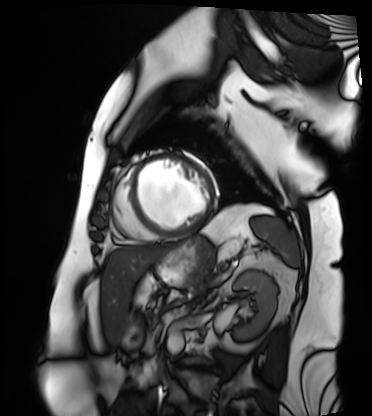
modality: cardiac MRI
cohort: patient